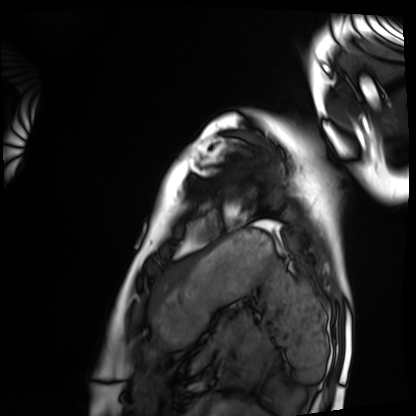
<study>
  <modality>cardiac MRI</modality>
  <cohort>healthy volunteer</cohort>
</study>